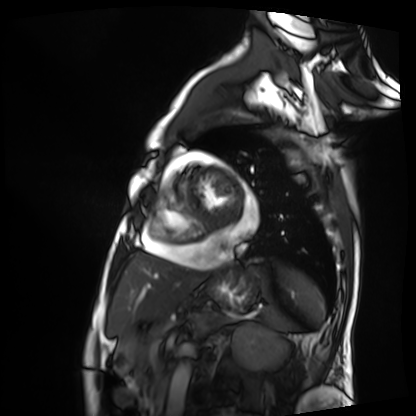
{"modality": "cardiac MRI", "cohort": "patient"}